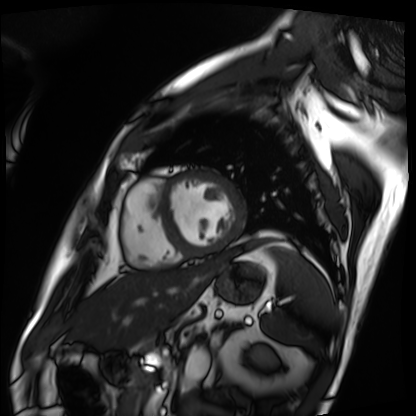
Cardiac MRI. Subject group: patient.